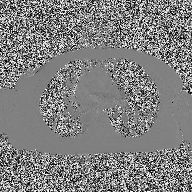
– modality — 2D phase-contrast cine MRI of the ascending aorta